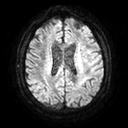
3 Tesla brain MRI. Series: diffusion tensor imaging (medium iso). Study: ring-enhancing brain masses.